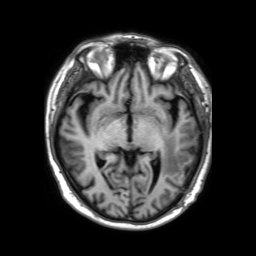
3 Tesla brain MRI. Series: 3D T1-weighted TFE with SENSE. Study: ring-enhancing brain masses.